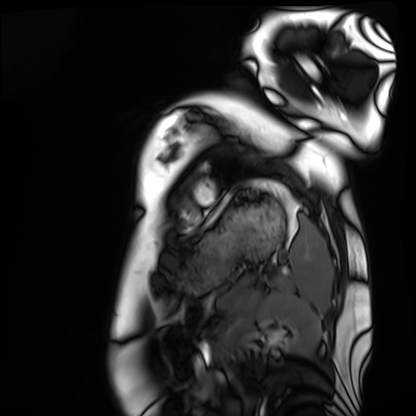
modality=cardiac MRI
subject group=healthy volunteer